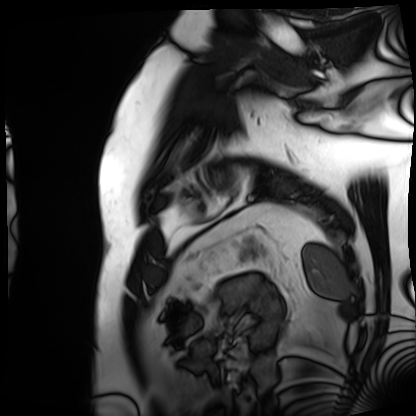
modality = cardiac MRI, subject group = patient.